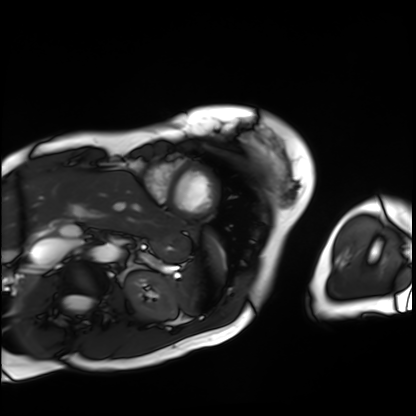
Case summary: Cardiac MRI. Subject group: patient.